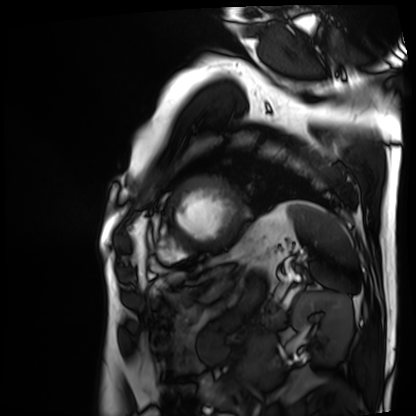
| field | value |
|---|---|
| modality | cardiac MRI |
| subject group | patient |